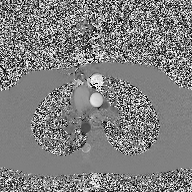
modality — 2D phase-contrast cine MRI of the ascending aorta.